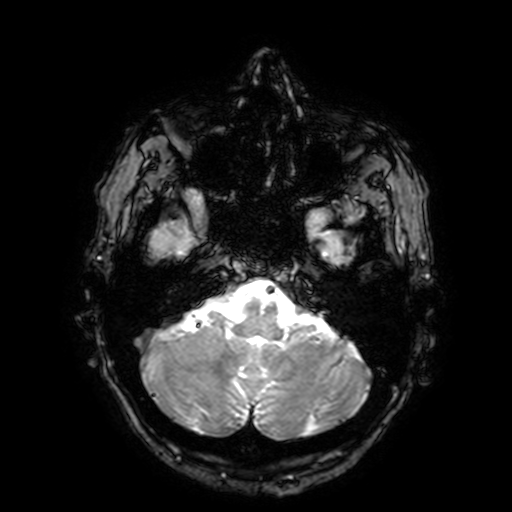
modality = 3 Tesla brain MRI
series = T2-weighted fast field echo with SENSE
study = ring-enhancing brain masses